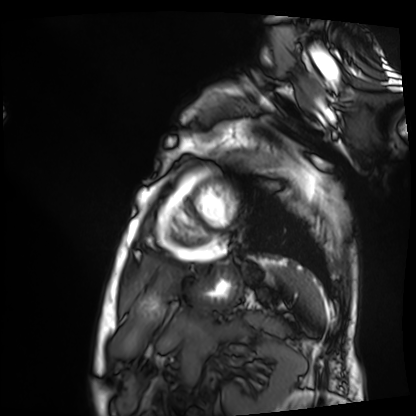
{"modality": "cardiac MRI", "cohort": "patient"}